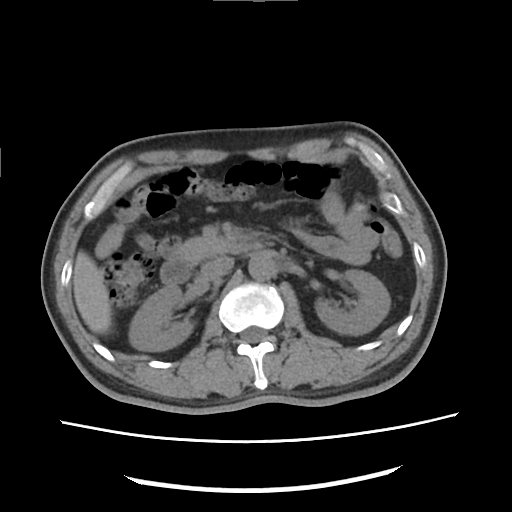
  modality:
    type: multiphase abdominal CT
    region: liver
    phase: non-contrast
  patient:
    sex: male
    age: 49